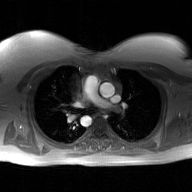
modality: 2D phase-contrast cine MRI of the ascending aorta, GAN super-resolution reconstruction.